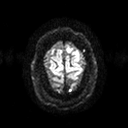
3 Tesla brain MRI.
Series: diffusion tensor imaging (medium iso).
Study: ring-enhancing brain masses.